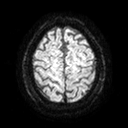
3 Tesla brain MRI.
Series: diffusion tensor imaging (medium iso).
Study: ring-enhancing brain masses.